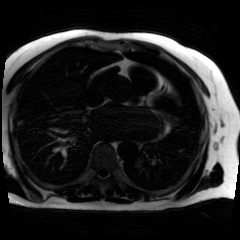
Chemical-shift-encoded cardiac MRI.